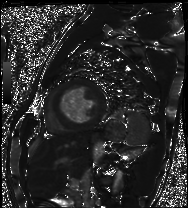
Case summary:
Cardiac MRI. Subject group: patient.